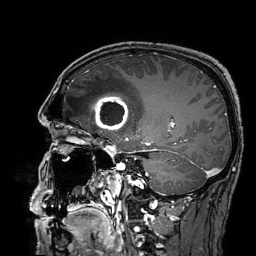
- modality · 3 Tesla brain MRI
- study · ring-enhancing brain masses